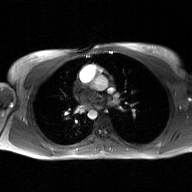
– modality: 2D phase-contrast cine MRI of the ascending aorta, GAN super-resolution reconstruction